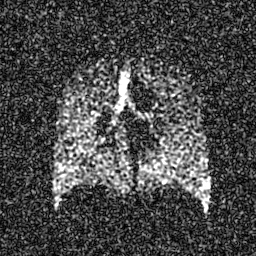
modality: hyperpolarized 129Xe ventilation MRI of the lungs
snr_level: 6 of 8 (the deposit holds this scan as its native image and as seven SNR-degraded versions)